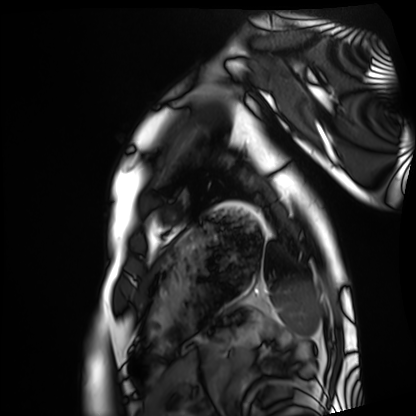
Cardiac MRI. Subject group: healthy volunteer.